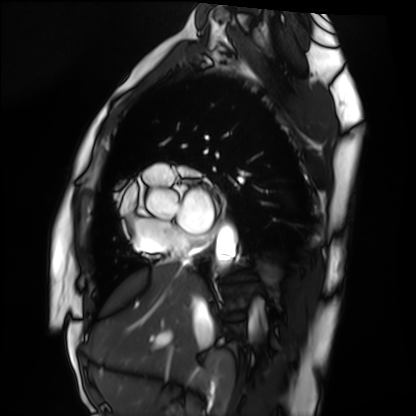
Cardiac MRI.
Subject group: healthy volunteer.